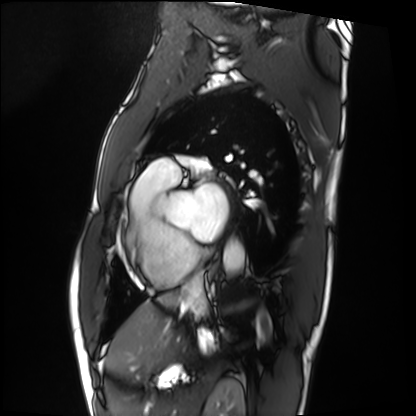
modality = cardiac MRI, subject group = patient.